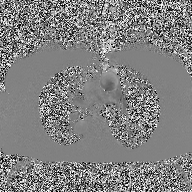
{"modality": {"type": "2D phase-contrast cine MRI", "region": "ascending aorta", "reconstruction": "high-resolution GRAPPA acquisition"}}